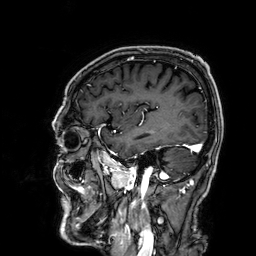
modality: 3 Tesla brain MRI; series: 3D T1-weighted; study: ring-enhancing brain masses.